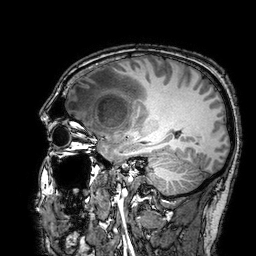
Case summary:
3 Tesla brain MRI. Series: 3D T1-weighted turbo field echo with SENSE. Study: ring-enhancing brain masses.